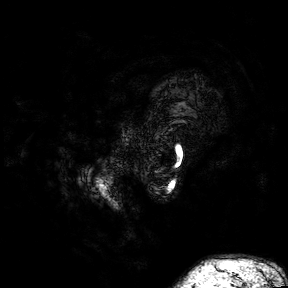
{
  "modality": {
    "type": "brain MRI",
    "field_strength": "3T"
  },
  "series": "3D T1-weighted turbo field echo with SENSE",
  "study_topic": "ring-enhancing brain masses"
}